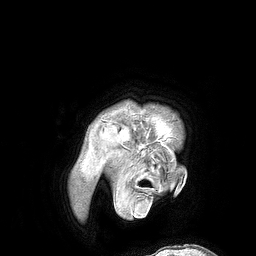
3 Tesla brain MRI.
Series: 3D T1-weighted turbo field echo.
Study: ring-enhancing brain masses.